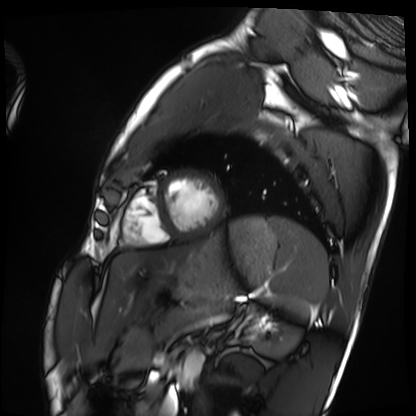
Summary: Cardiac MRI. Subject group: healthy volunteer.